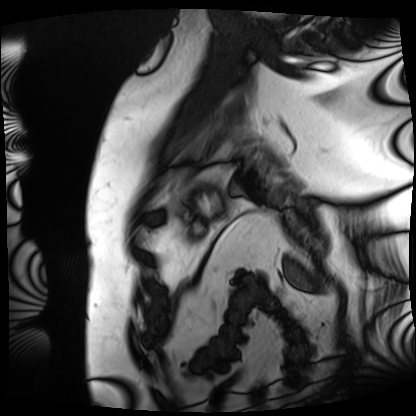
Cardiac MRI. Subject group: patient.